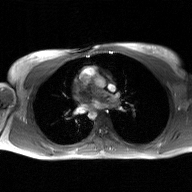
Q: What kind of scan is this?
A: 2D phase-contrast cine MRI of the ascending aorta, GAN super-resolution reconstruction.